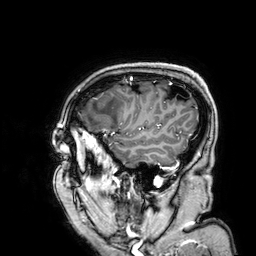
Case summary: 3 Tesla brain MRI. Study: ring-enhancing brain masses.